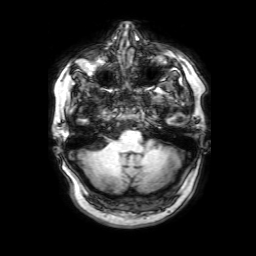
3 Tesla brain MRI. Series: 3D T1-weighted with SENSE. Study: ring-enhancing brain masses.